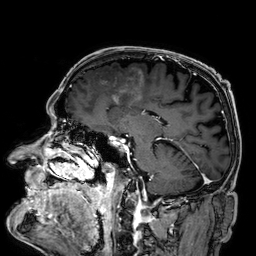
| field | value |
|---|---|
| modality | 3 Tesla brain MRI |
| series | 3D T1-weighted |
| study | ring-enhancing brain masses |